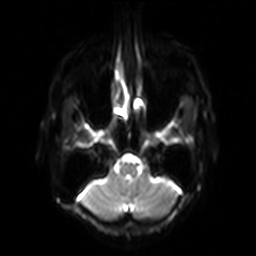
3 Tesla brain MRI.
Series: diffusion-weighted imaging with SENSE (WIP).
Study: ring-enhancing brain masses.